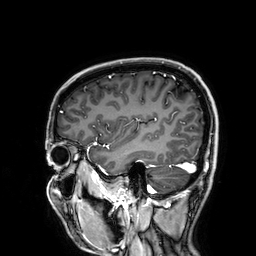
modality: 3 Tesla brain MRI | study: ring-enhancing brain masses.